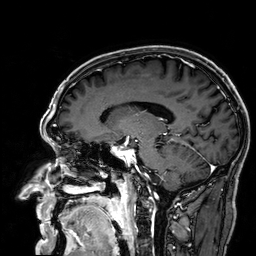
* modality · 3 Tesla brain MRI
* study · ring-enhancing brain masses